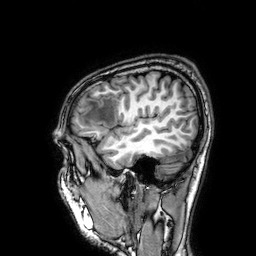
Case:
- modality · 3 Tesla brain MRI
- series · 3D T1-weighted
- study · ring-enhancing brain masses